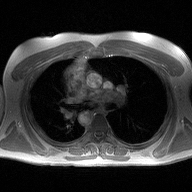
2D phase-contrast cine MRI of the ascending aorta, high-resolution GRAPPA acquisition.